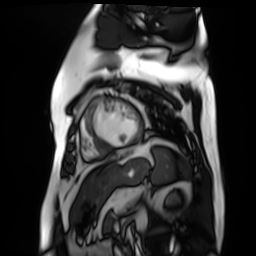
Case summary: Cardiac MR image of the myocardium. Subject cohort: cardiac patient.